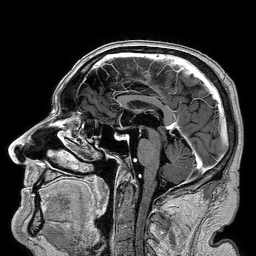
3 Tesla brain MRI. Series: 3D T1-weighted turbo field echo. Study: ring-enhancing brain masses.